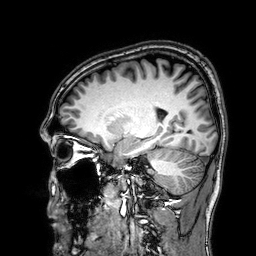
3 Tesla brain MRI.
Series: 3D T1-weighted.
Study: ring-enhancing brain masses.